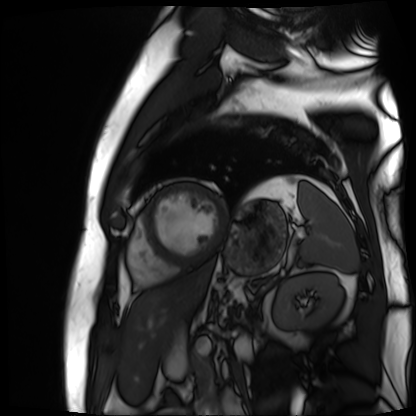
Case summary: Cardiac MR image of the myocardium. Subject cohort: cardiac patient.